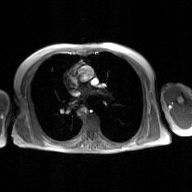
<record>
<modality>
  <type>2D phase-contrast cine MRI</type>
  <region>ascending aorta</region>
  <reconstruction>GAN super-resolution reconstruction</reconstruction>
</modality>
</record>